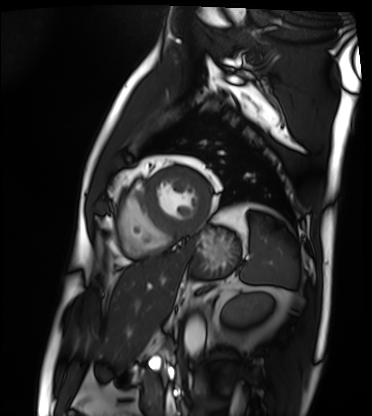
Cardiac MRI.
Subject group: patient.